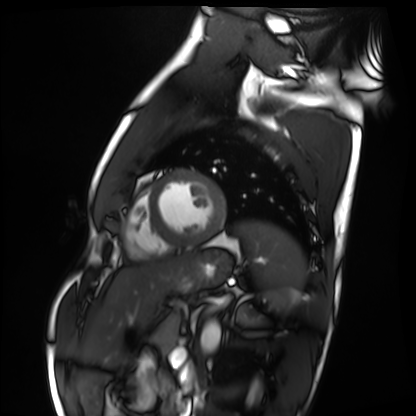
– modality — cardiac MRI
– subject group — healthy volunteer